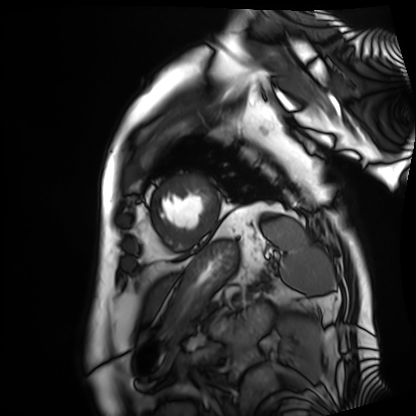
Cardiac MRI. Subject group: patient.